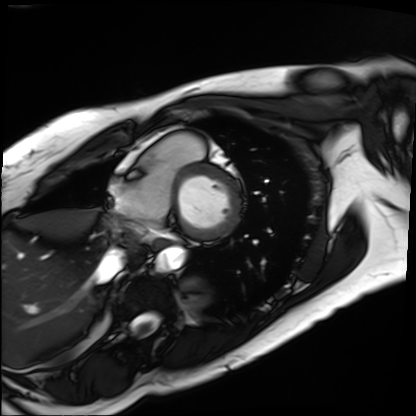
{
  "modality": "cardiac MRI",
  "cohort": "patient"
}